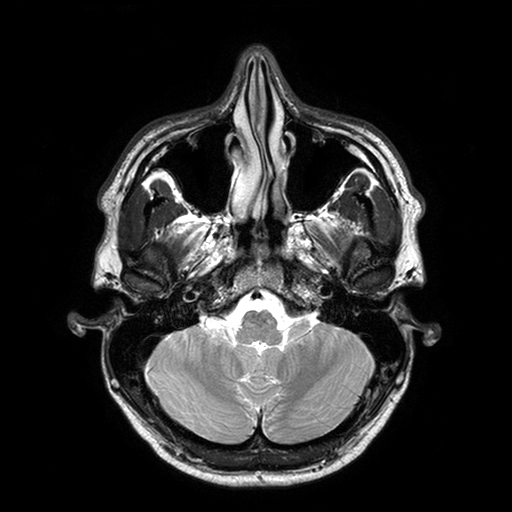
3 Tesla brain MRI.
Series: T2-weighted turbo spin echo with SENSE.
Study: ring-enhancing brain masses.